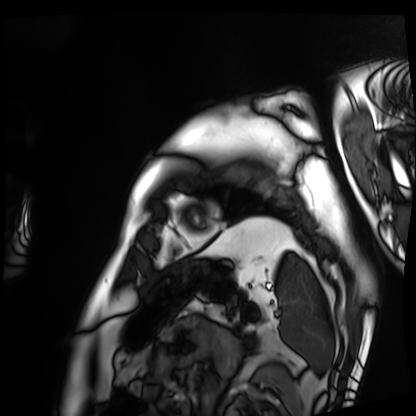
Summary: Cardiac MRI. Subject group: patient.